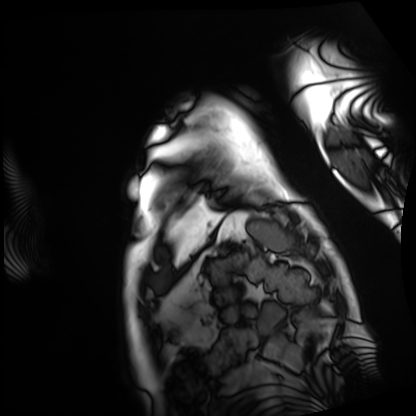
Summary:
Cardiac MRI. Subject group: patient.